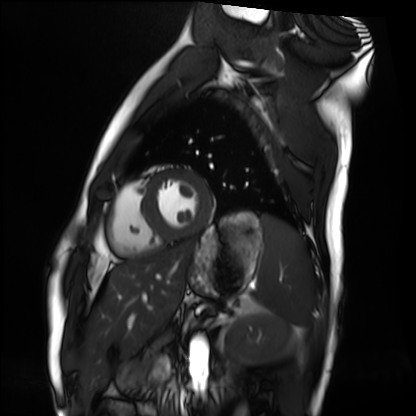
Cardiac MRI. Subject group: healthy volunteer.